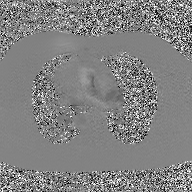
{
  "modality": {
    "type": "2D phase-contrast cine MRI",
    "region": "ascending aorta",
    "reconstruction": "GAN super-resolution reconstruction"
  }
}